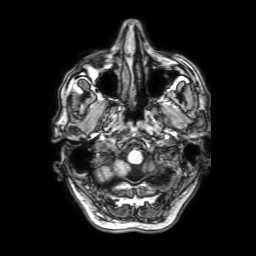
modality=3 Tesla brain MRI
series=3D T1-weighted with SENSE
study=ring-enhancing brain masses